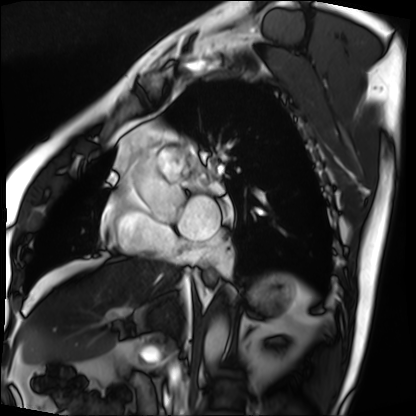
Cardiac MRI. Subject group: patient.